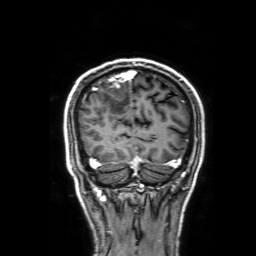
modality:
  type: brain MRI
  field_strength: 3T
series: 3D T1-weighted with SENSE
study_topic: ring-enhancing brain masses